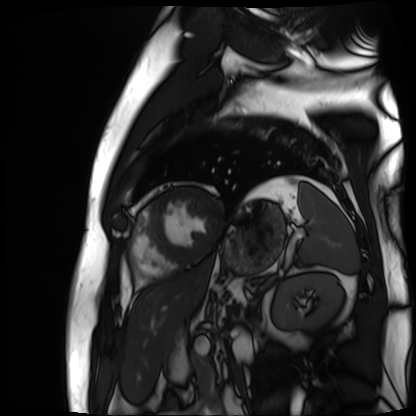
{"modality": "cardiac MR image of the myocardium", "cohort": "cardiac patient"}